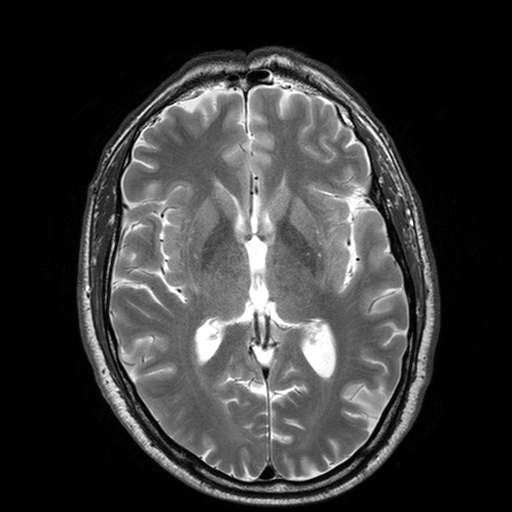
Summary: 3 Tesla brain MRI. Series: T2-weighted turbo spin echo with SENSE. Study: ring-enhancing brain masses.